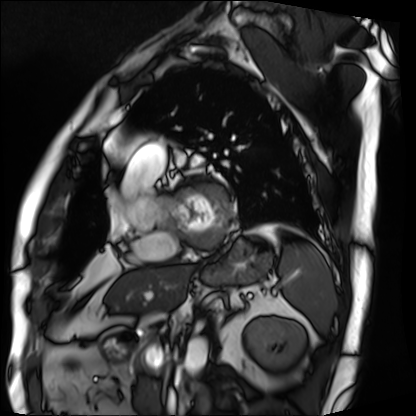
modality: cardiac MRI | subject group: patient.